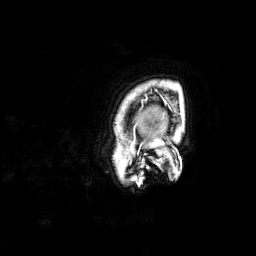
3 Tesla brain MRI. Series: 3D T1-weighted. Study: ring-enhancing brain masses.